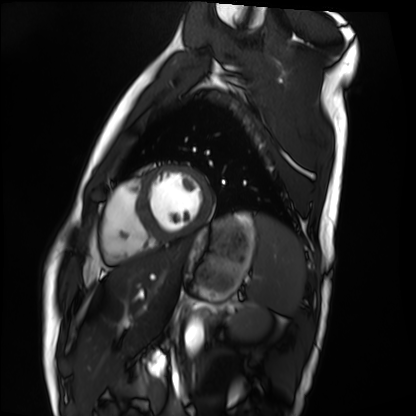
{"modality": "cardiac MRI", "cohort": "healthy volunteer"}